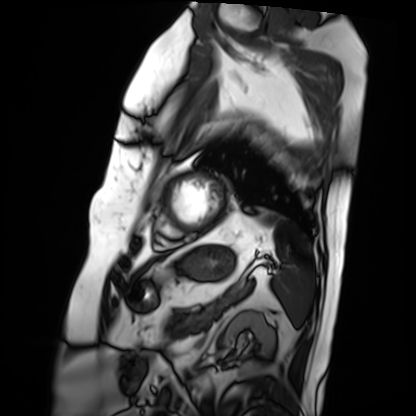
modality: cardiac MRI
cohort: patient